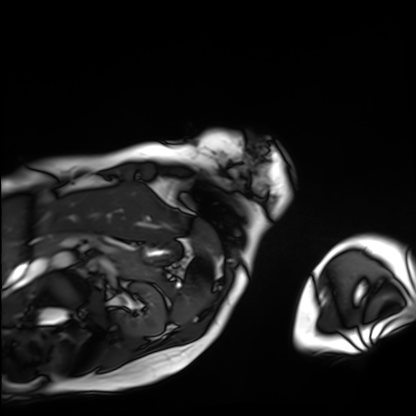
modality: cardiac MRI
subject group: patient